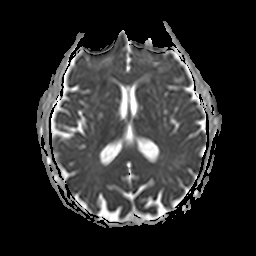
3 Tesla brain MRI. Series: apparent diffusion coefficient (ADC) map. Study: ring-enhancing brain masses.